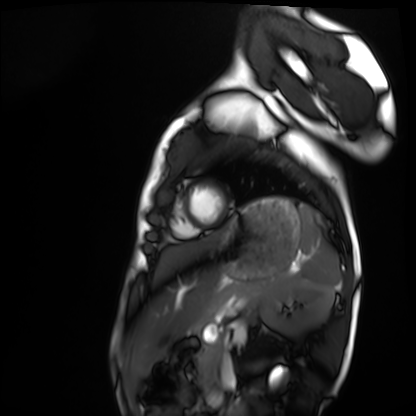
Clinical context: Cardiac MRI. Subject group: healthy volunteer.